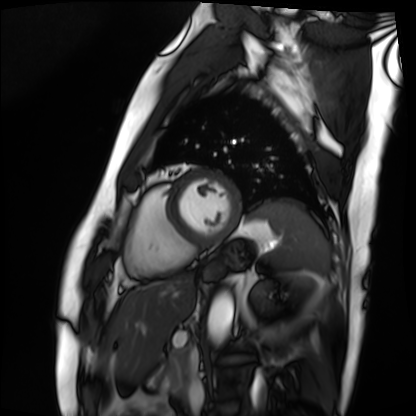
Q: What kind of scan is this?
A: Cardiac MRI.
Subject group: patient.